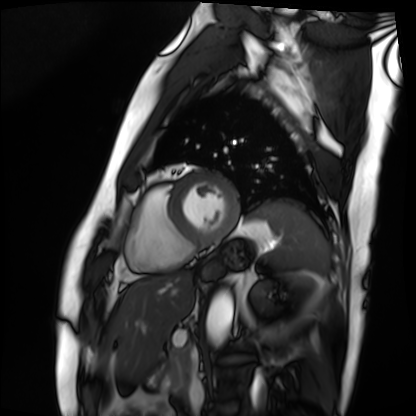
Cardiac MRI. Subject group: patient.